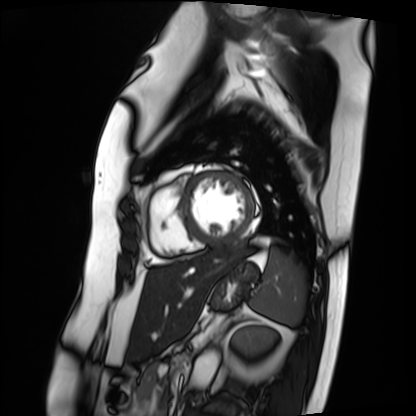
Cardiac MRI. Subject group: patient.